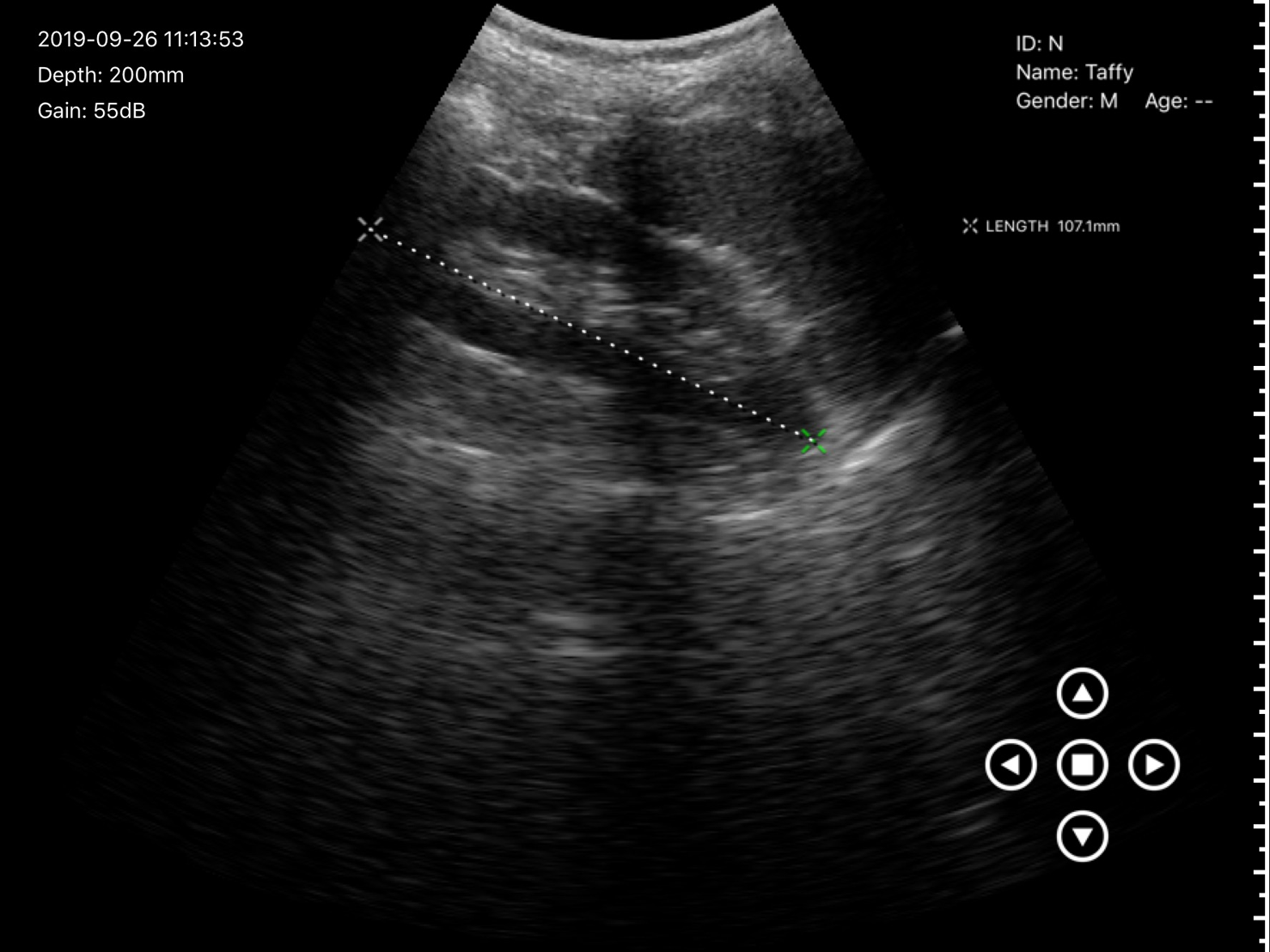
Q: What kind of scan is this?
A: Genitourinary ultrasound.